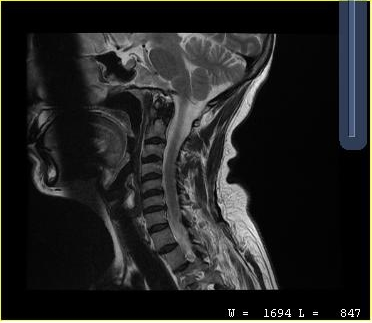
MRI of the cervical spine.
Study: cervical spondylosis.